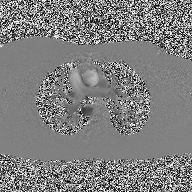
modality — 2D phase-contrast cine MRI of the ascending aorta.